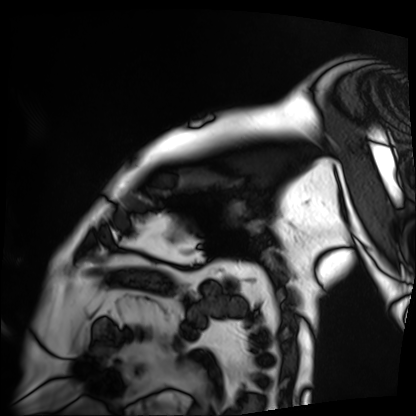
Summary:
Cardiac MRI. Subject group: patient.